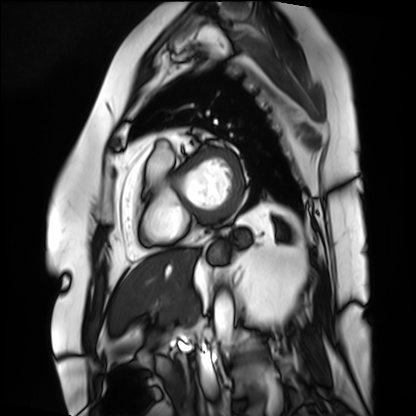
modality: cardiac MRI
subject group: patient